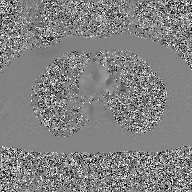
modality — 2D phase-contrast cine MRI of the ascending aorta, GAN super-resolution reconstruction.